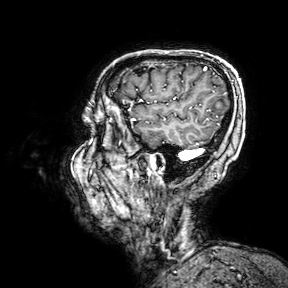
3 Tesla brain MRI. Series: 3D T1-weighted turbo field echo with SENSE. Study: ring-enhancing brain masses.